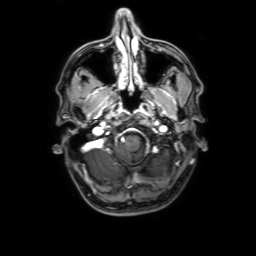
Clinical context:
3 Tesla brain MRI. Series: 3D T1-weighted with SENSE. Study: ring-enhancing brain masses.